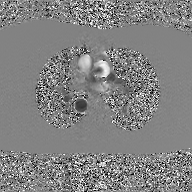
Q: What kind of scan is this?
A: 2D phase-contrast cine MRI of the ascending aorta, GAN super-resolution reconstruction.